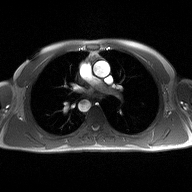
modality:
  type: 2D phase-contrast cine MRI
  region: ascending aorta
  reconstruction: high-resolution GRAPPA acquisition